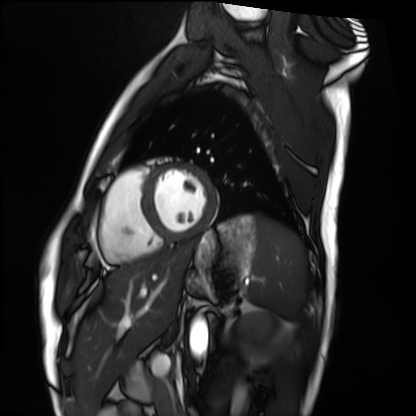
Case summary: Cardiac MRI. Subject group: healthy volunteer.